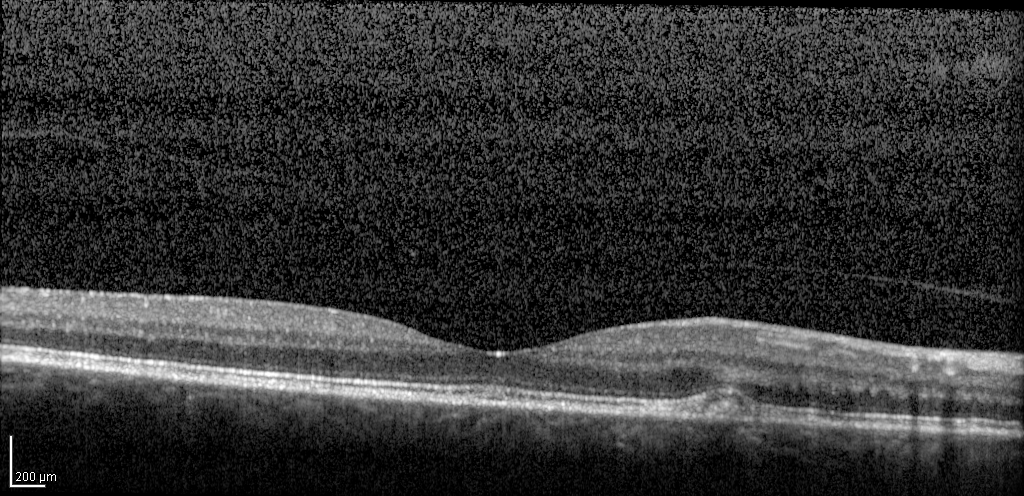
Case summary: Infrared image and spectral-domain optical coherence tomography (SD-OCT) scan of the macula. Subject: female, age 67, right eye. Cohort: diabetic subject. ETDRS-grid retinal thickness (μm): central 263, inner temporal 337, inner nasal 365, inner superior 357, inner inferior 354, outer temporal 301, outer nasal 335, outer superior 336, outer inferior 326.